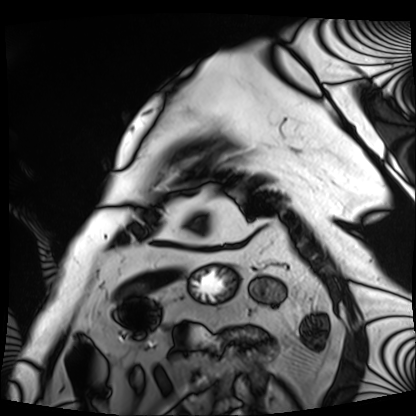
* modality: cardiac MRI
* subject group: patient